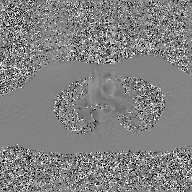
modality: 2D phase-contrast cine MRI of the ascending aorta, GAN super-resolution reconstruction.